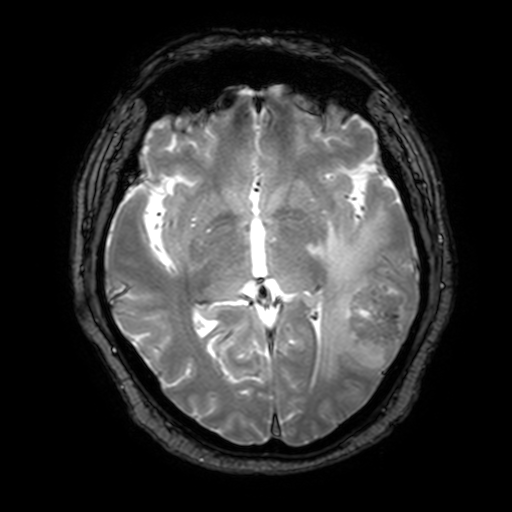
modality = 3 Tesla brain MRI; series = T2-weighted fast field echo with SENSE; study = ring-enhancing brain masses.